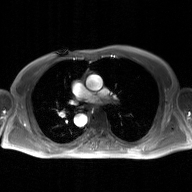
Q: What kind of scan is this?
A: 2D phase-contrast cine MRI of the ascending aorta, GAN super-resolution reconstruction.